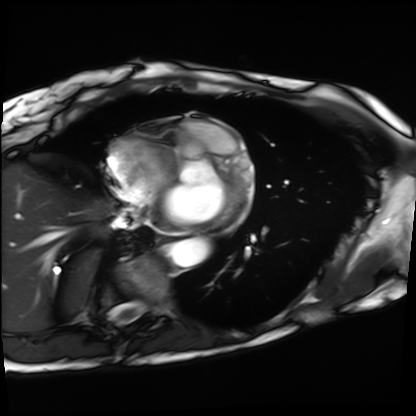
Summary:
Cardiac MRI. Subject group: patient.